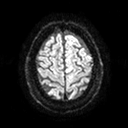
modality = 3 Tesla brain MRI | series = diffusion tensor imaging (medium iso) | study = ring-enhancing brain masses.